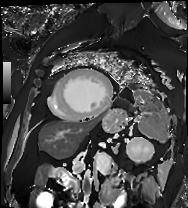
modality = cardiac MRI | subject group = patient.